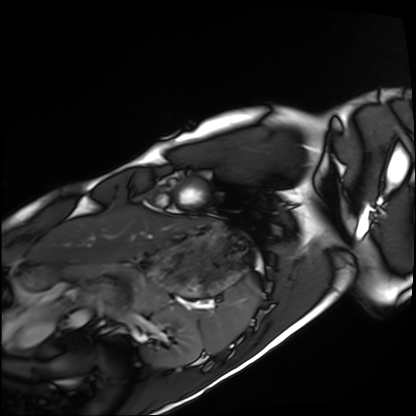
Cardiac MRI.
Subject group: healthy volunteer.